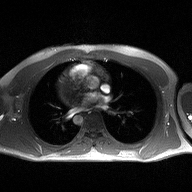
2D phase-contrast cine MRI of the ascending aorta, high-resolution GRAPPA acquisition.